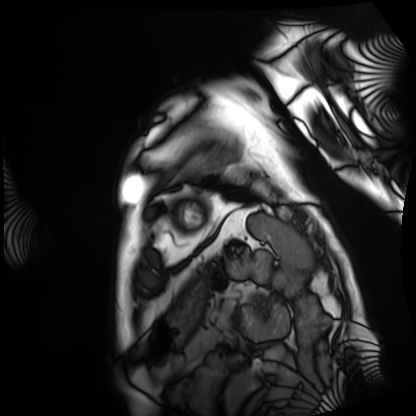
Case summary: Cardiac MRI. Subject group: patient.